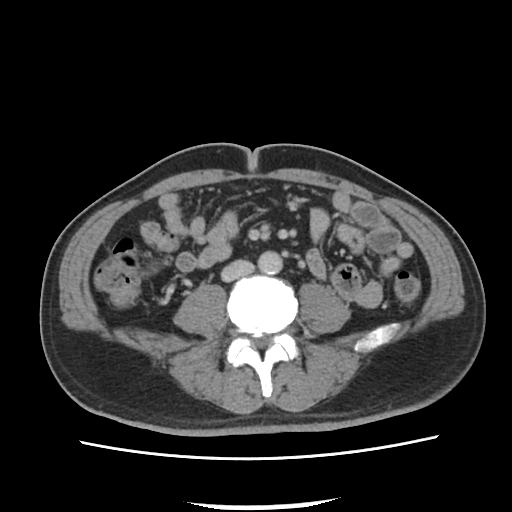
• modality · multiphase abdominal CT, liver, portal venous phase
• patient · male, age 52
• history · viral hepatitis